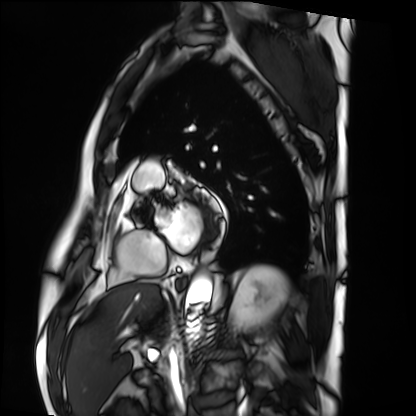
Cardiac MRI. Subject group: patient.